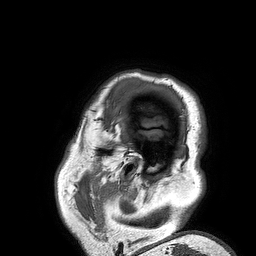
| field | value |
|---|---|
| modality | 3 Tesla brain MRI |
| series | 3D T1-weighted turbo field echo |
| study | ring-enhancing brain masses |